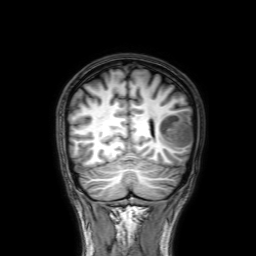
| field | value |
|---|---|
| modality | 3 Tesla brain MRI |
| series | 3D T1-weighted with SENSE |
| study | ring-enhancing brain masses |